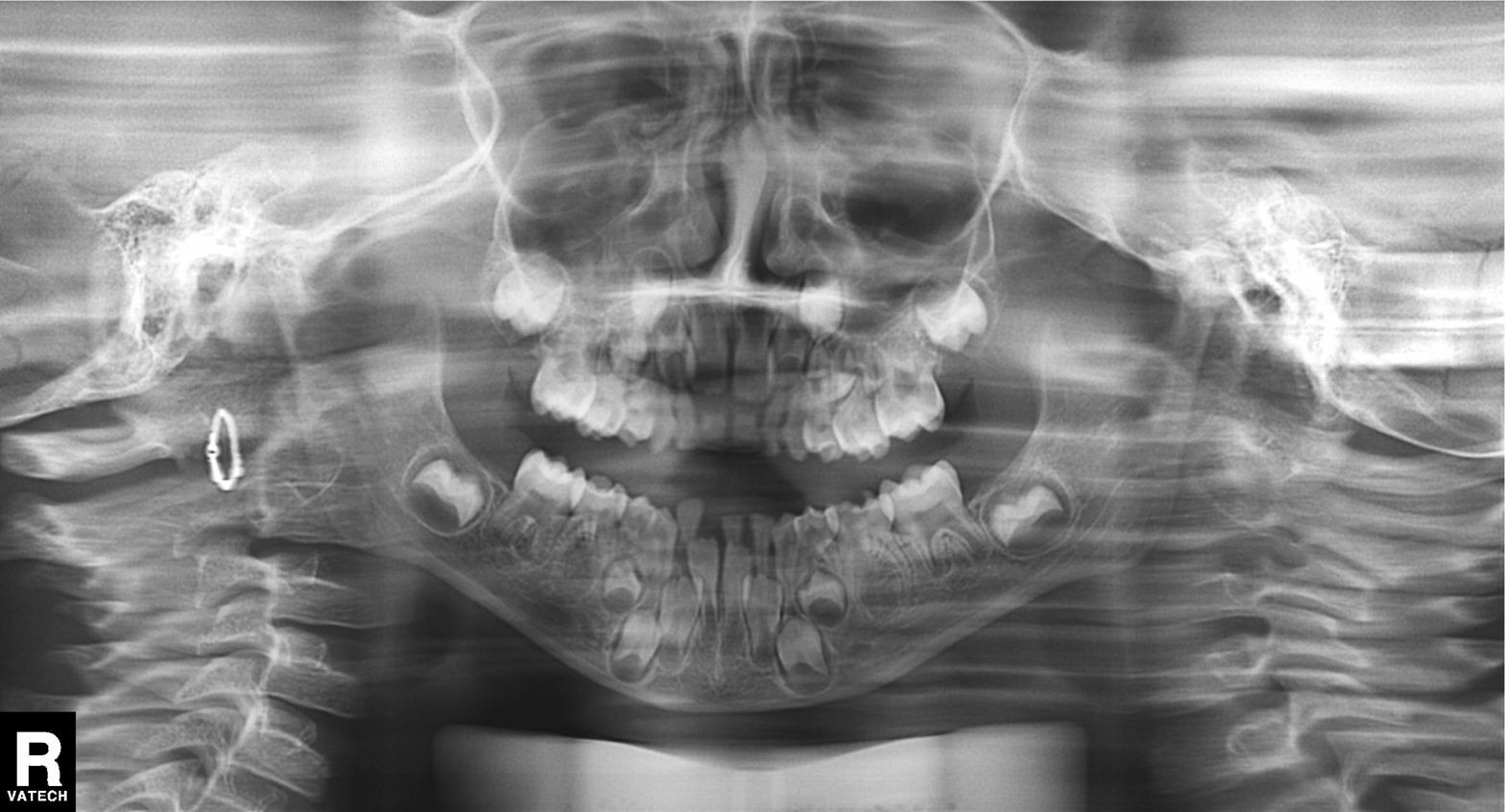
Q: What kind of scan is this?
A: Panoramic dental radiograph (orthopantomogram).
Q: What is the radiographic finding?
A: Alveolar bone loss.